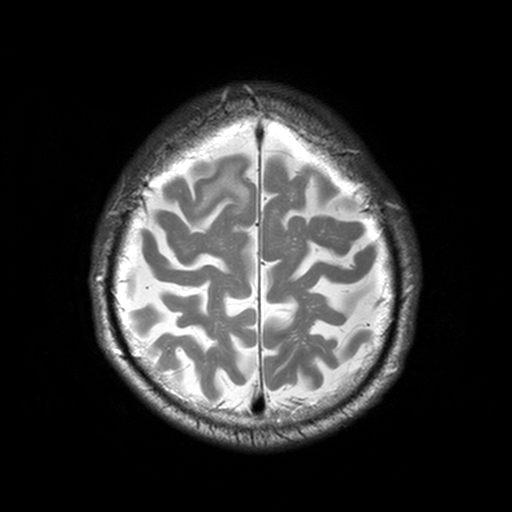
3 Tesla brain MRI. Series: T2-weighted turbo spin echo, 3 mm. Study: ring-enhancing brain masses.